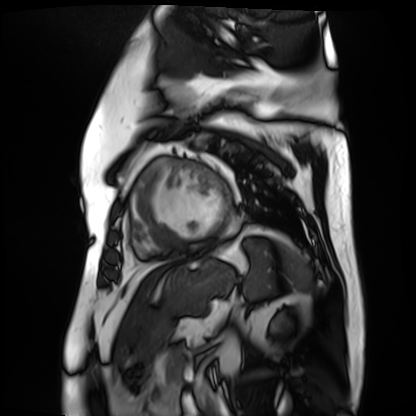
  modality: cardiac MR image of the myocardium
  cohort: cardiac patient